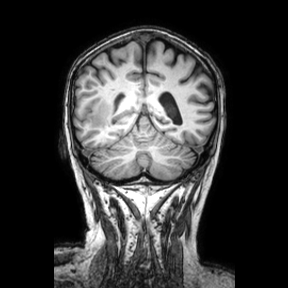
– modality — 3 Tesla brain MRI
– series — coronal
– study — ring-enhancing brain masses